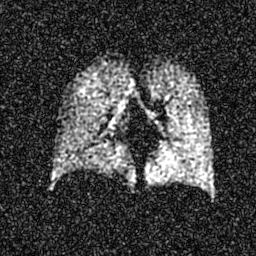
| field | value |
|---|---|
| modality | hyperpolarized 129Xe ventilation MRI of the lungs |
| SNR level | 6 of 8 (the deposit holds this scan as its native image and as seven SNR-degraded versions) |